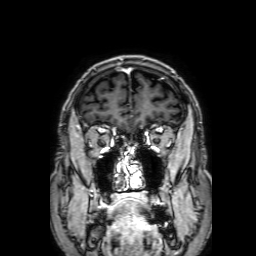
{"modality": {"type": "brain MRI", "field_strength": "3T"}, "series": "3D T1-weighted with SENSE", "study_topic": "ring-enhancing brain masses"}